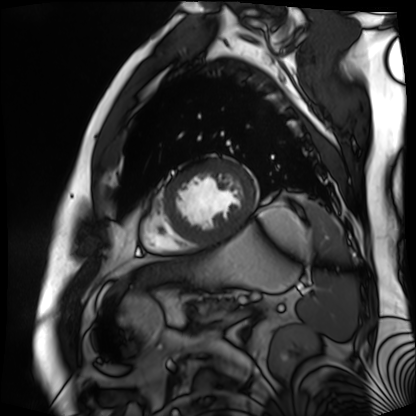
Cardiac MR image of the myocardium. Subject cohort: cardiac patient.